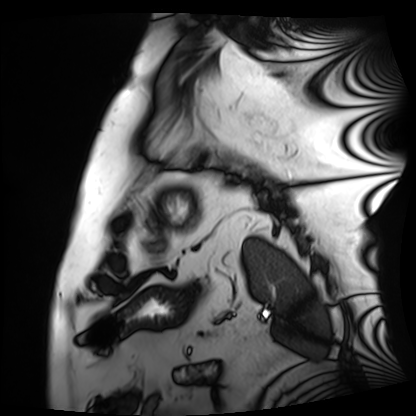
Cardiac MRI.
Subject group: patient.